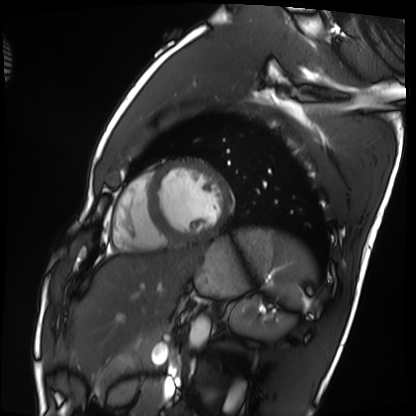
{"modality": "cardiac MRI", "cohort": "healthy volunteer"}